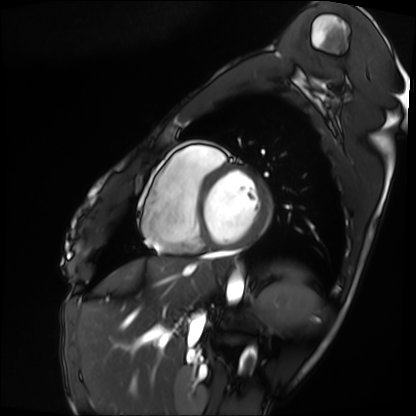
Cardiac MRI. Subject group: patient.